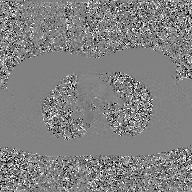
<scan>
  <modality>
    <type>2D phase-contrast cine MRI</type>
    <region>ascending aorta</region>
    <reconstruction>GAN super-resolution reconstruction</reconstruction>
  </modality>
</scan>